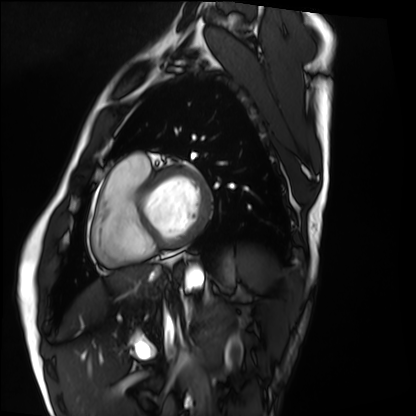
modality: cardiac MRI
cohort: healthy volunteer